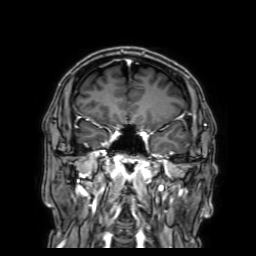
3 Tesla brain MRI. Series: 3D T1-weighted with SENSE. Study: ring-enhancing brain masses.